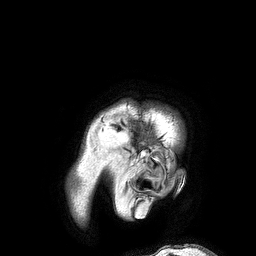
3 Tesla brain MRI. Series: 3D T1-weighted turbo field echo. Study: ring-enhancing brain masses.